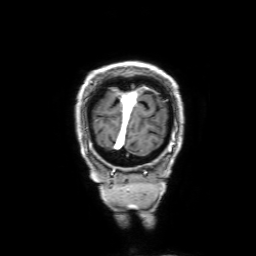
{
  "modality": {
    "type": "brain MRI",
    "field_strength": "3T"
  },
  "series": "3D T1-weighted with SENSE",
  "study_topic": "ring-enhancing brain masses"
}